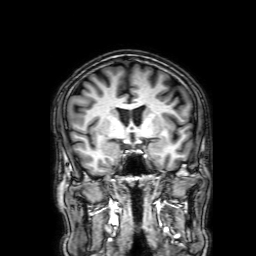
Case:
* modality — 3 Tesla brain MRI
* series — 3D T1-weighted with SENSE
* study — ring-enhancing brain masses